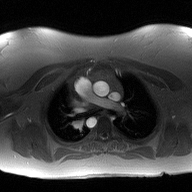
2D phase-contrast cine MRI of the ascending aorta, high-resolution GRAPPA acquisition.